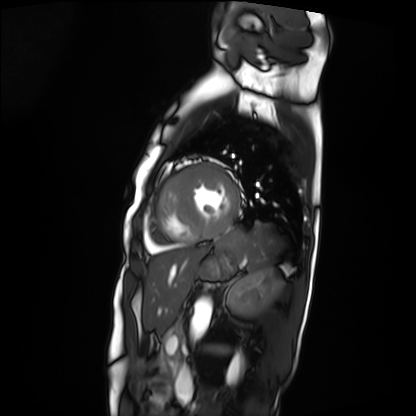
{"modality": "cardiac MRI", "cohort": "patient"}